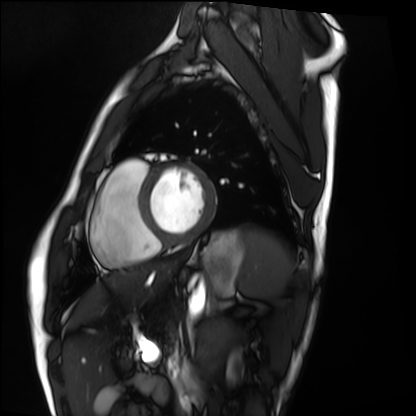
modality: cardiac MRI
cohort: healthy volunteer